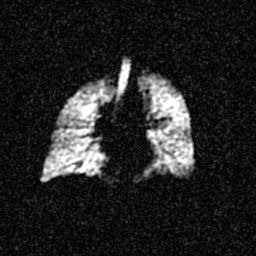
Hyperpolarized 129Xe ventilation MRI of the lungs.
SNR level 4 of 8 (the deposit holds this scan as its native image and as seven SNR-degraded versions).